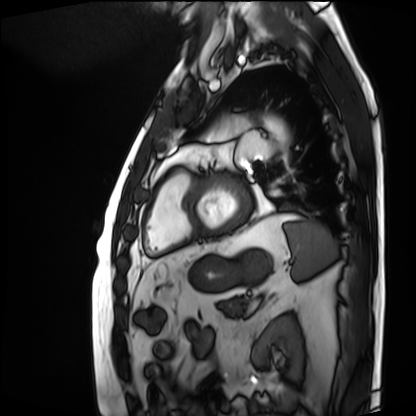
modality: cardiac MRI | subject group: patient.